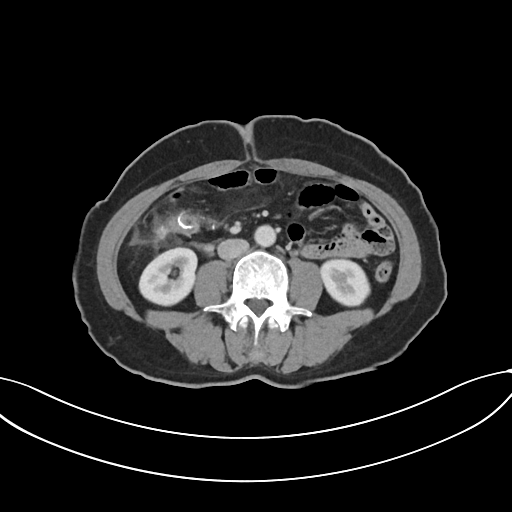
Multiphase abdominal CT, liver, portal venous phase. Patient: female, age 59.